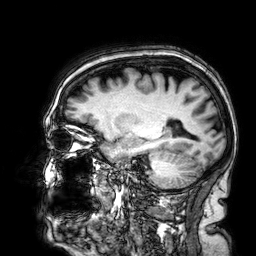
modality = 3 Tesla brain MRI
series = 3D T1-weighted
study = ring-enhancing brain masses